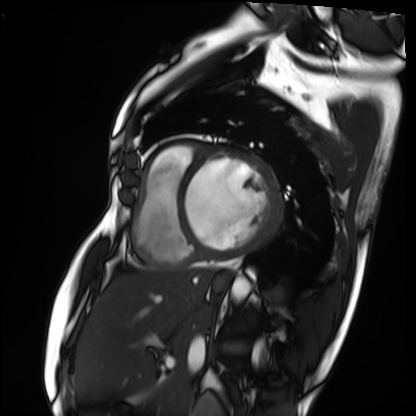
Cardiac MRI.
Subject group: patient.